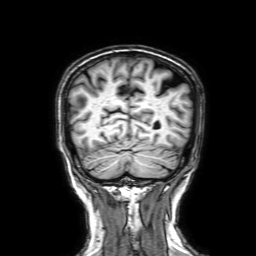
modality: 3 Tesla brain MRI | series: 3D T1-weighted with SENSE | study: ring-enhancing brain masses.